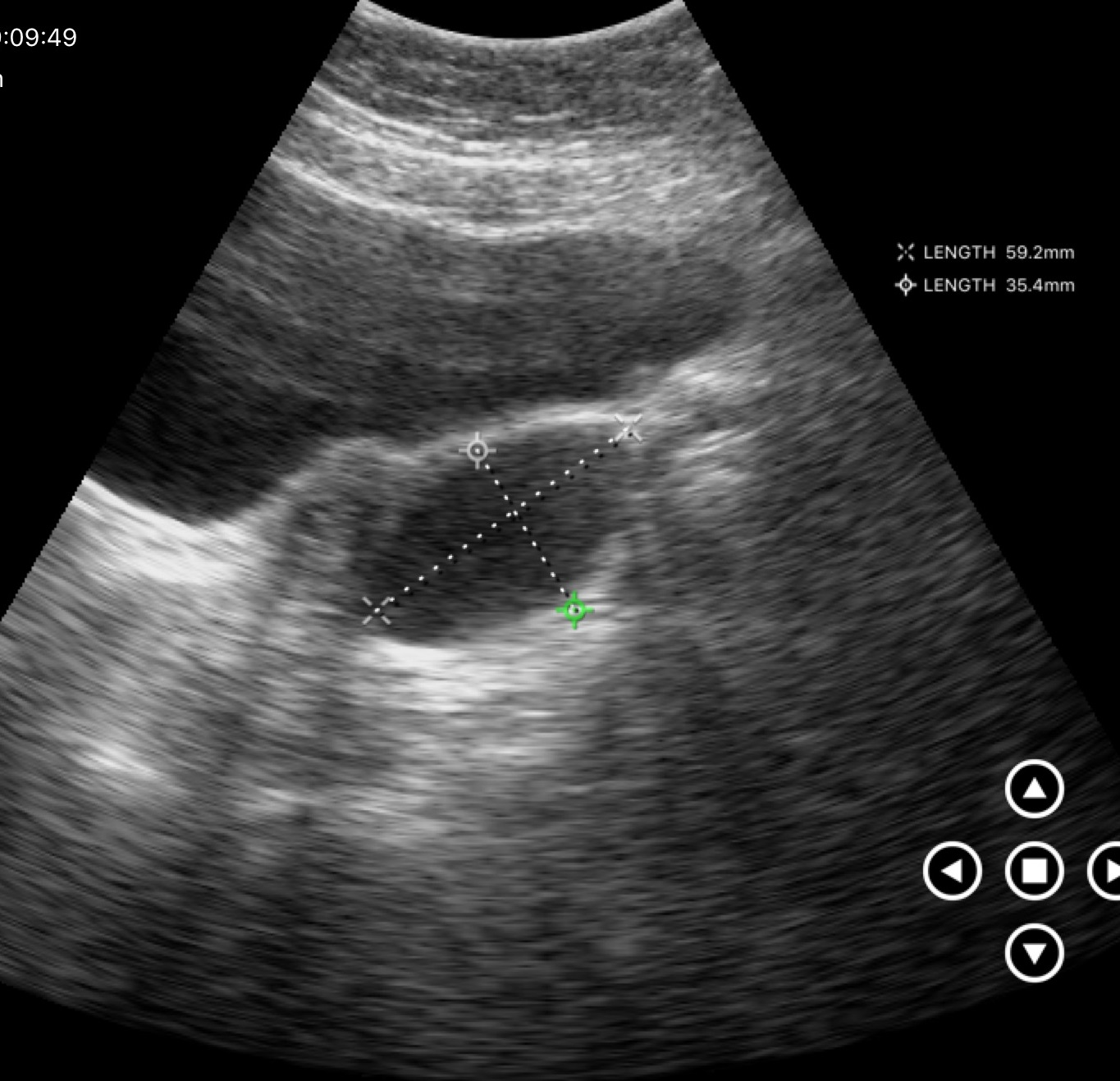
modality = genitourinary ultrasound.